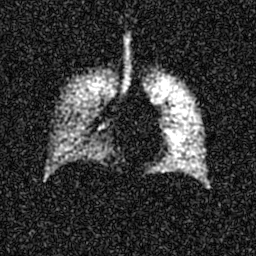
Clinical context:
Hyperpolarized 129Xe ventilation MRI of the lungs. SNR level 6 of 8 (the deposit holds this scan as its native image and as seven SNR-degraded versions).